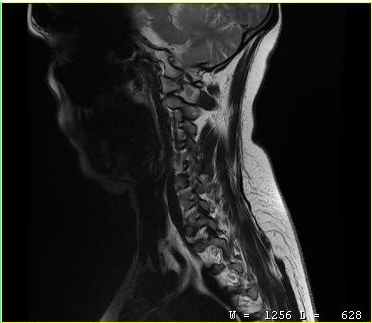
MRI of the cervical spine. Study: cervical spondylosis.